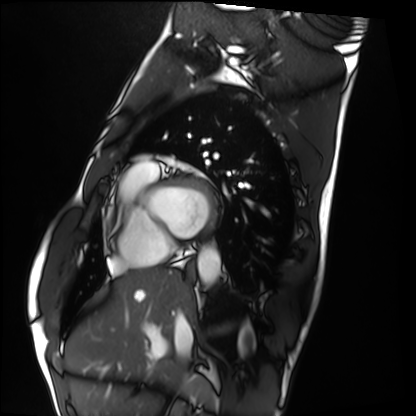
modality: cardiac MRI
subject group: healthy volunteer